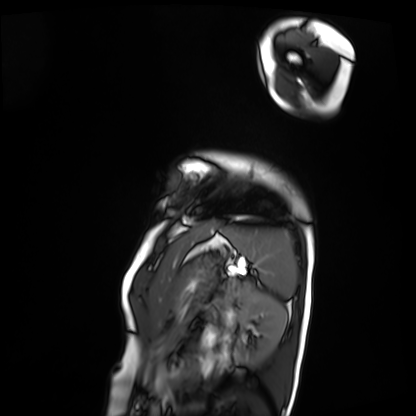
{
  "modality": "cardiac MRI",
  "cohort": "patient"
}